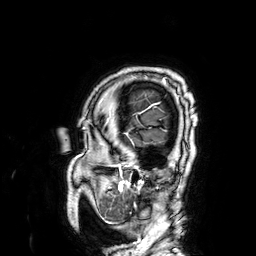
3 Tesla brain MRI.
Study: ring-enhancing brain masses.